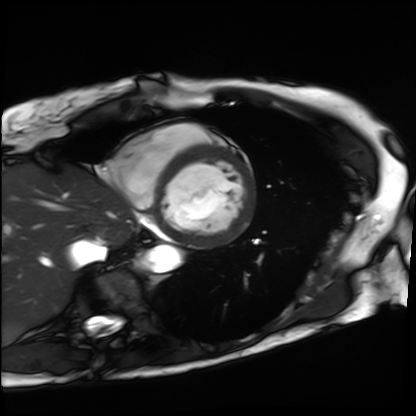
- modality: cardiac MRI
- subject group: patient